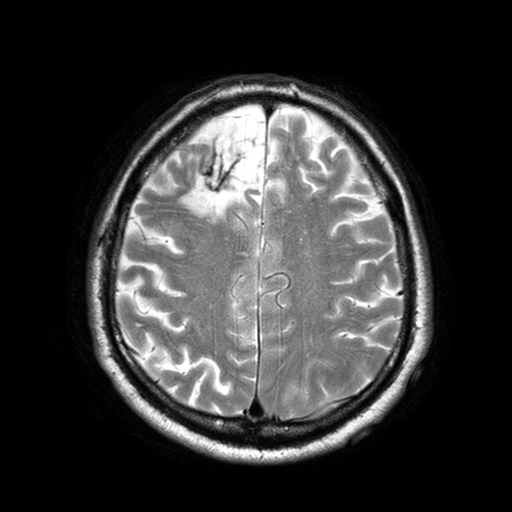
  modality:
    type: brain MRI
    field_strength: 3T
  series: T2-weighted turbo spin echo with SENSE
  study_topic: ring-enhancing brain masses